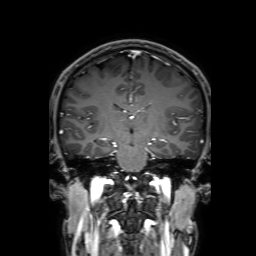
3 Tesla brain MRI.
Series: 3D T1-weighted with SENSE.
Study: ring-enhancing brain masses.